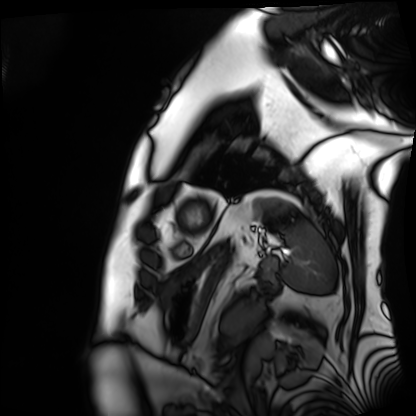
Q: What kind of scan is this?
A: Cardiac MRI.
Subject group: patient.